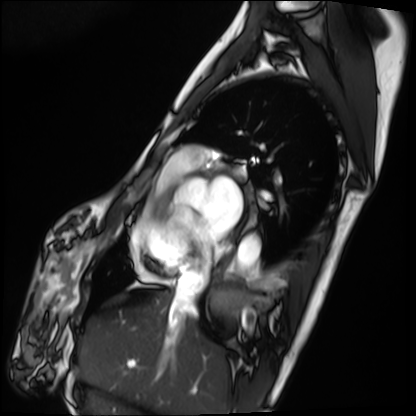
modality=cardiac MRI
subject group=patient